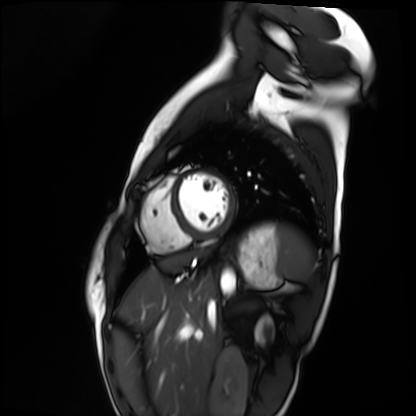
<scan>
<modality>cardiac MRI</modality>
<cohort>healthy volunteer</cohort>
</scan>